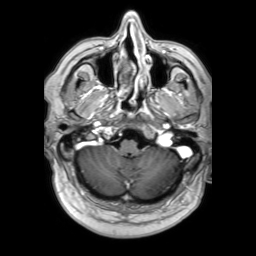
modality: 3 Tesla brain MRI
series: 3D T1-weighted TFE with SENSE
study: ring-enhancing brain masses